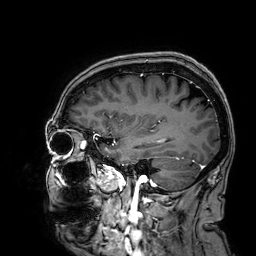
modality: 3 Tesla brain MRI; series: 3D T1-weighted; study: ring-enhancing brain masses.